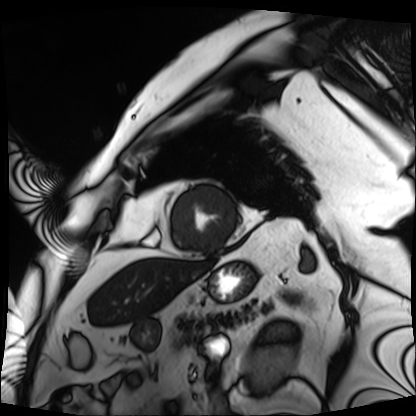
Cardiac MRI. Subject group: patient.